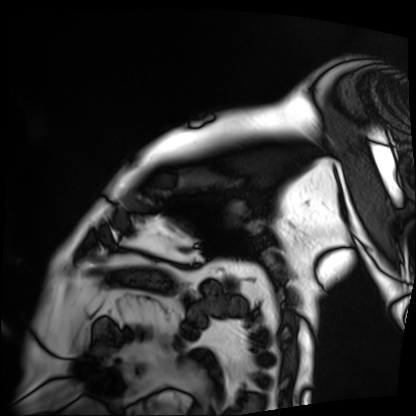
Case:
– modality — cardiac MRI
– subject group — patient